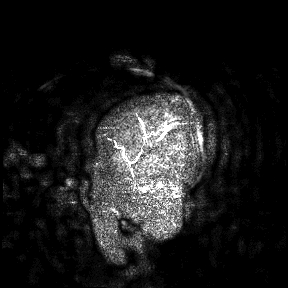
| field | value |
|---|---|
| modality | 3 Tesla brain MRI |
| study | ring-enhancing brain masses |